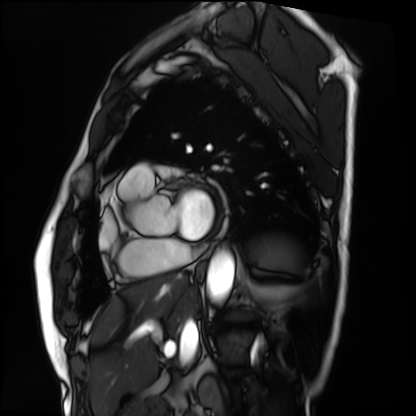
Cardiac MRI.
Subject group: patient.